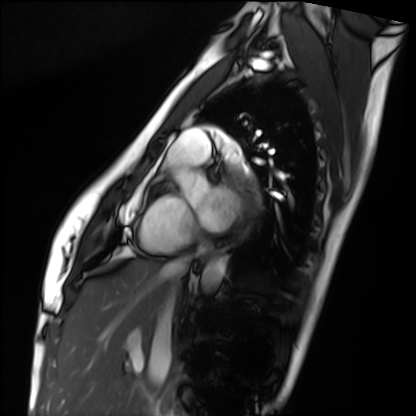
Case summary:
Cardiac MRI. Subject group: healthy volunteer.